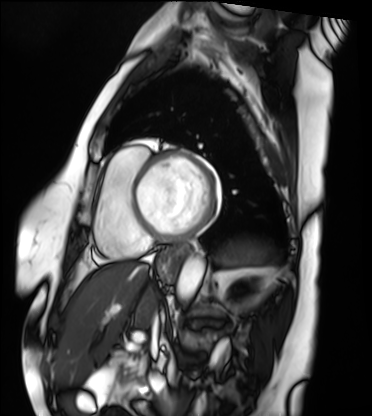
Cardiac MRI.
Subject group: patient.